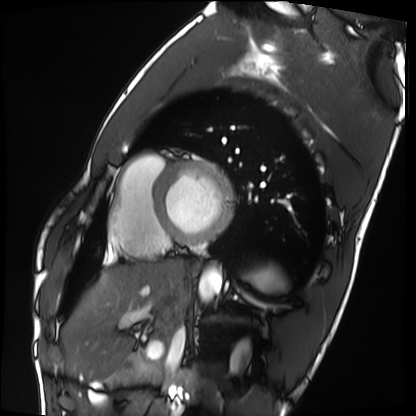
Cardiac MRI.
Subject group: healthy volunteer.